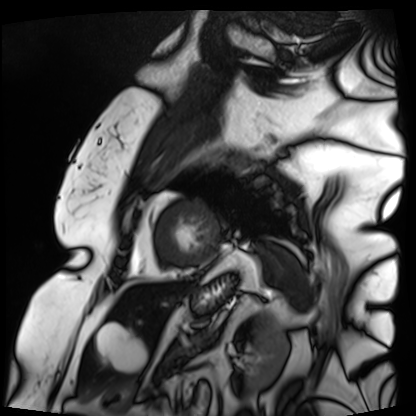
Cardiac MRI.
Subject group: patient.